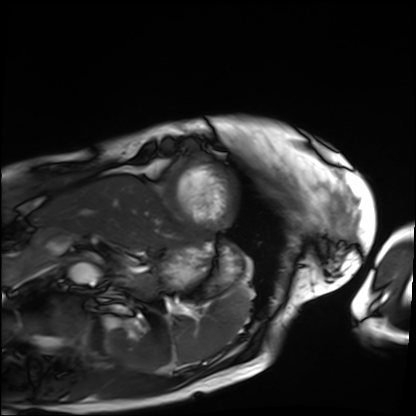
<case>
  <modality>cardiac MRI</modality>
  <cohort>patient</cohort>
</case>